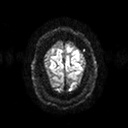
3 Tesla brain MRI. Series: diffusion tensor imaging (medium iso). Study: ring-enhancing brain masses.